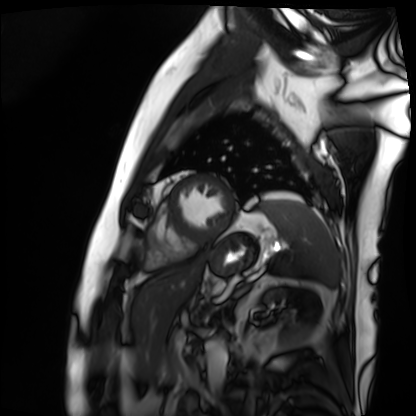
Q: What kind of scan is this?
A: Cardiac MRI.
Subject group: patient.